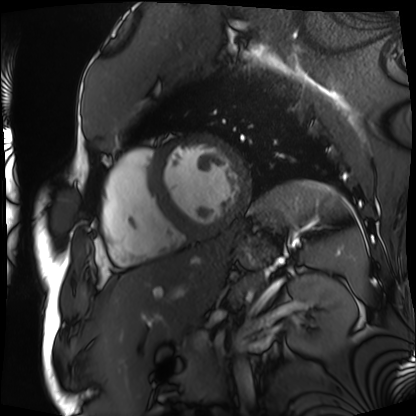
modality: cardiac MRI
subject group: patient